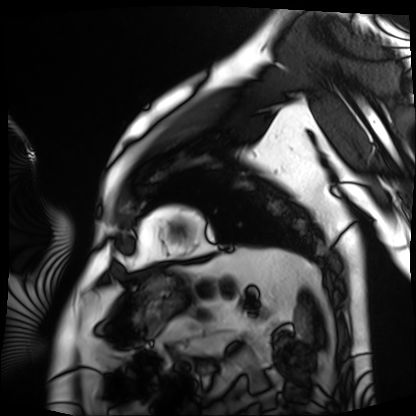
modality: cardiac MRI | subject group: patient.